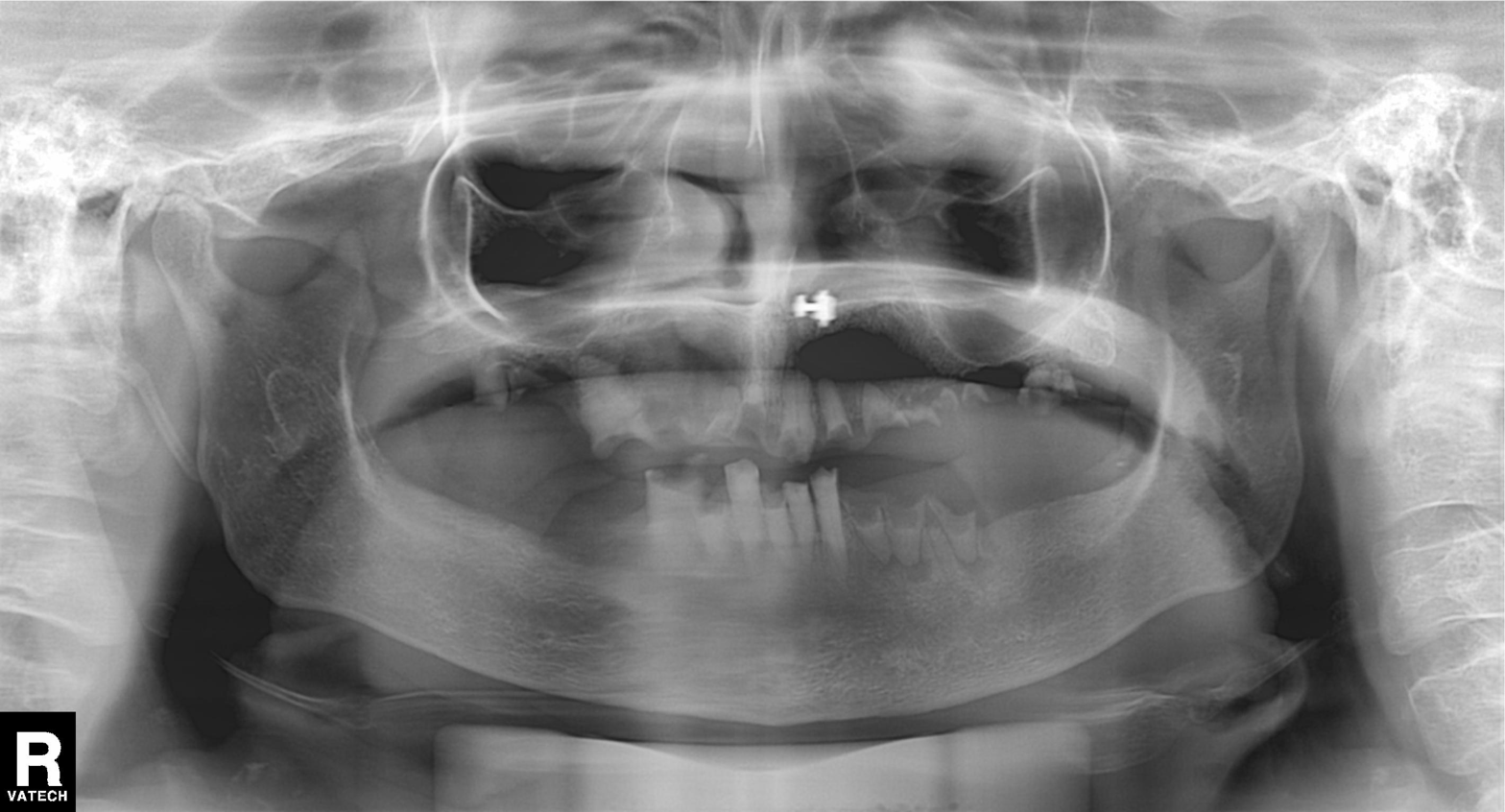
Summary:
Panoramic dental radiograph (orthopantomogram).
Diagnosis:
Alveolar bone loss.